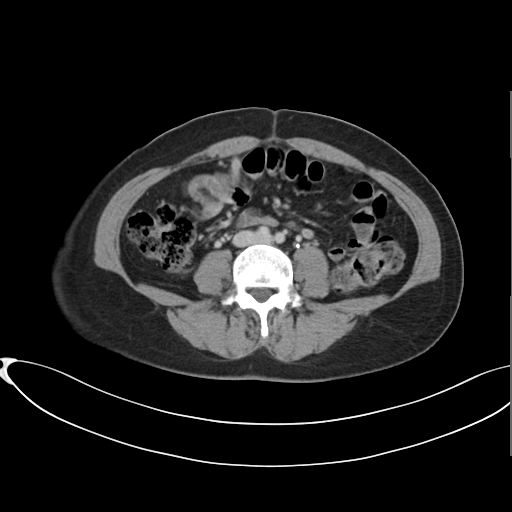
Clinical context: Multiphase abdominal CT, liver, delayed phase. Patient: female, age 38. History: prior chemotherapy.